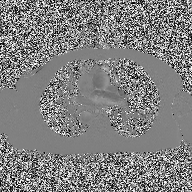
Clinical context:
2D phase-contrast cine MRI of the ascending aorta, high-resolution GRAPPA acquisition.